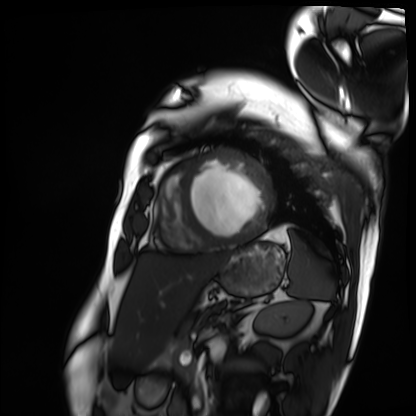
* modality: cardiac MRI
* subject group: patient